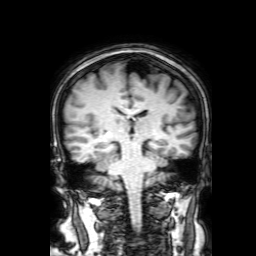
<study>
  <modality>
    <type>brain MRI</type>
    <field_strength>3T</field_strength>
  </modality>
  <series>3D T1-weighted with SENSE</series>
  <study_topic>ring-enhancing brain masses</study_topic>
</study>